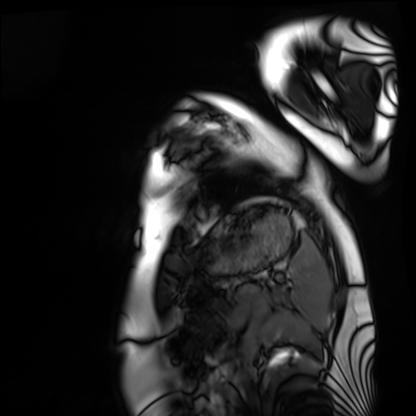
Summary: Cardiac MRI. Subject group: healthy volunteer.